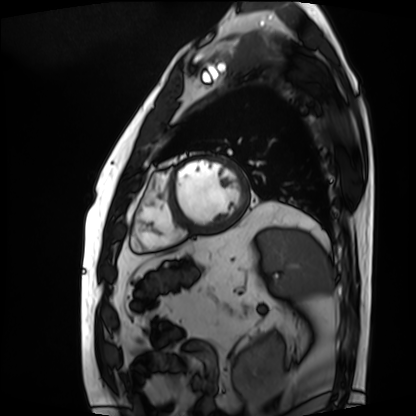
Cardiac MRI.
Subject group: patient.